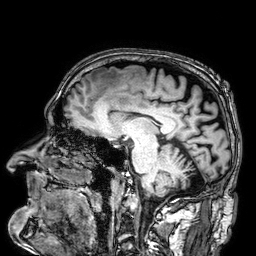
  modality:
    type: brain MRI
    field_strength: 3T
  series: 3D T1-weighted
  study_topic: ring-enhancing brain masses